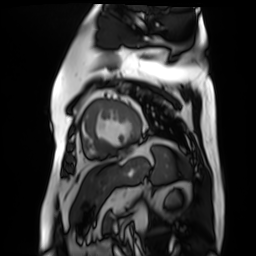
<case>
  <modality>cardiac MR image of the myocardium</modality>
  <cohort>cardiac patient</cohort>
</case>